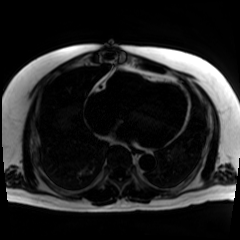
Chemical-shift-encoded cardiac MRI.